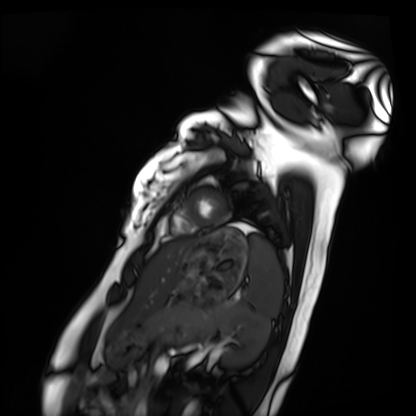
Cardiac MRI. Subject group: healthy volunteer.